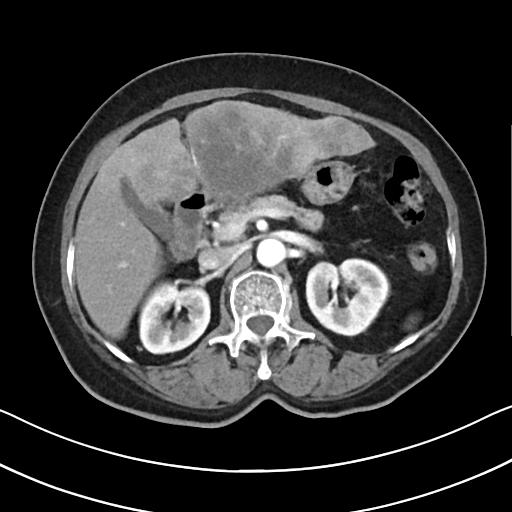
{
  "modality": {
    "type": "multiphase abdominal CT",
    "region": "liver",
    "phase": "arterial"
  },
  "patient": {
    "sex": "female",
    "age": 67
  }
}